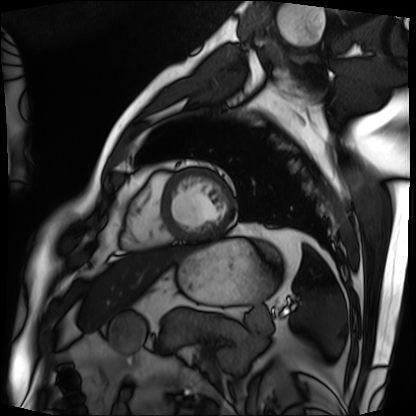
Clinical context:
Cardiac MRI. Subject group: patient.